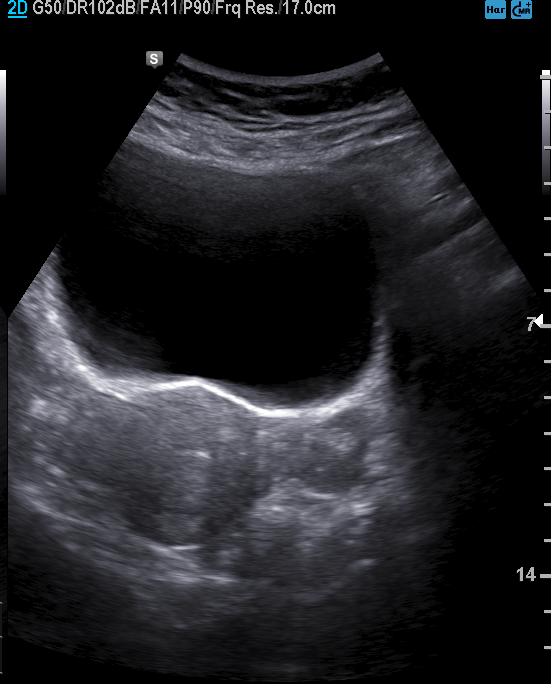
| field | value |
|---|---|
| modality | genitourinary ultrasound |